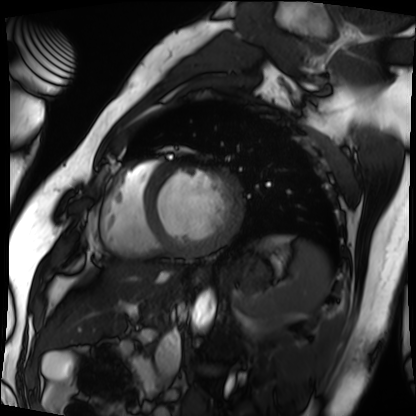
Case summary: Cardiac MRI. Subject group: patient.